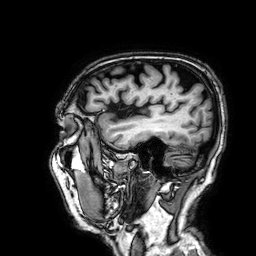
{
  "modality": {
    "type": "brain MRI",
    "field_strength": "3T"
  },
  "series": "3D T1-weighted",
  "study_topic": "ring-enhancing brain masses"
}